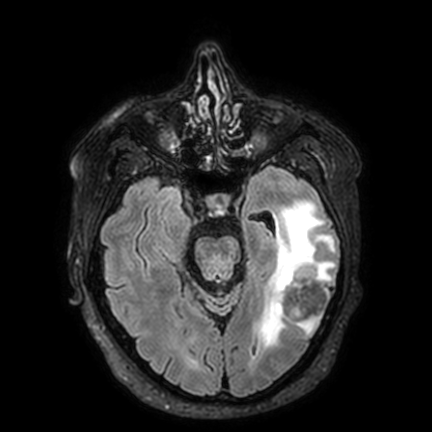
<record>
  <modality>
    <type>brain MRI</type>
    <field_strength>3T</field_strength>
  </modality>
  <series>FLAIR VISTA with SENSE</series>
  <study_topic>ring-enhancing brain masses</study_topic>
</record>